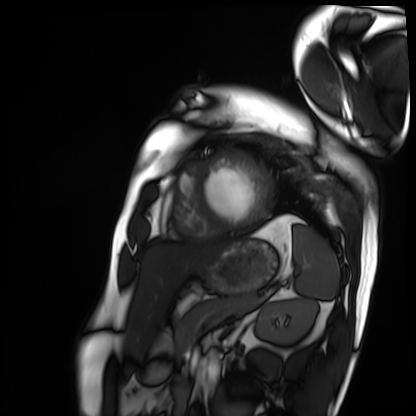
Cardiac MRI. Subject group: patient.